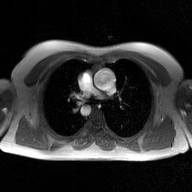
Q: What kind of scan is this?
A: 2D phase-contrast cine MRI of the ascending aorta, GAN super-resolution reconstruction.